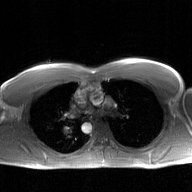
2D phase-contrast cine MRI of the ascending aorta, GAN super-resolution reconstruction.